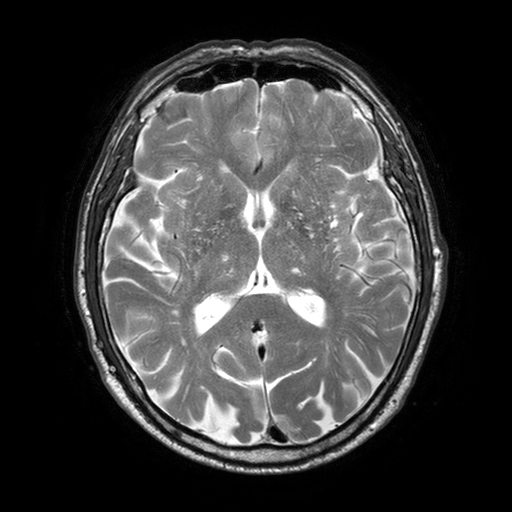
| field | value |
|---|---|
| modality | 3 Tesla brain MRI |
| series | T2-weighted turbo spin echo with SENSE |
| study | ring-enhancing brain masses |